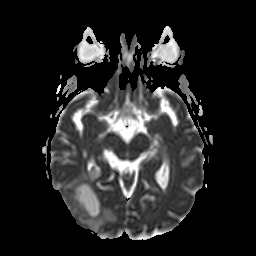
3 Tesla brain MRI. Series: apparent diffusion coefficient (ADC) map. Study: ring-enhancing brain masses.